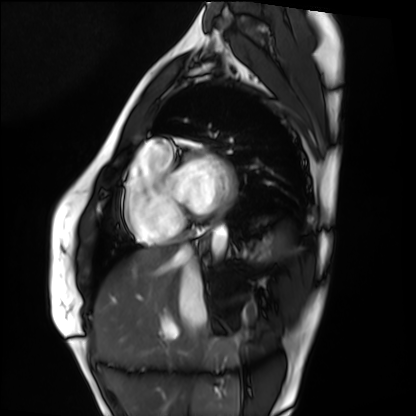
Cardiac MRI. Subject group: healthy volunteer.